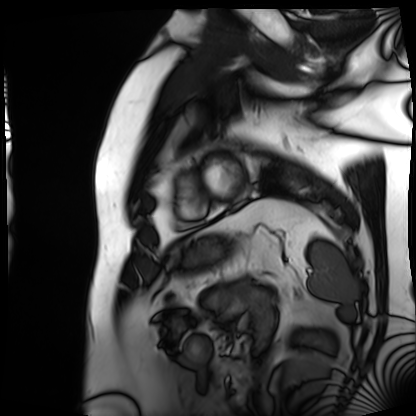
modality: cardiac MRI
subject group: patient